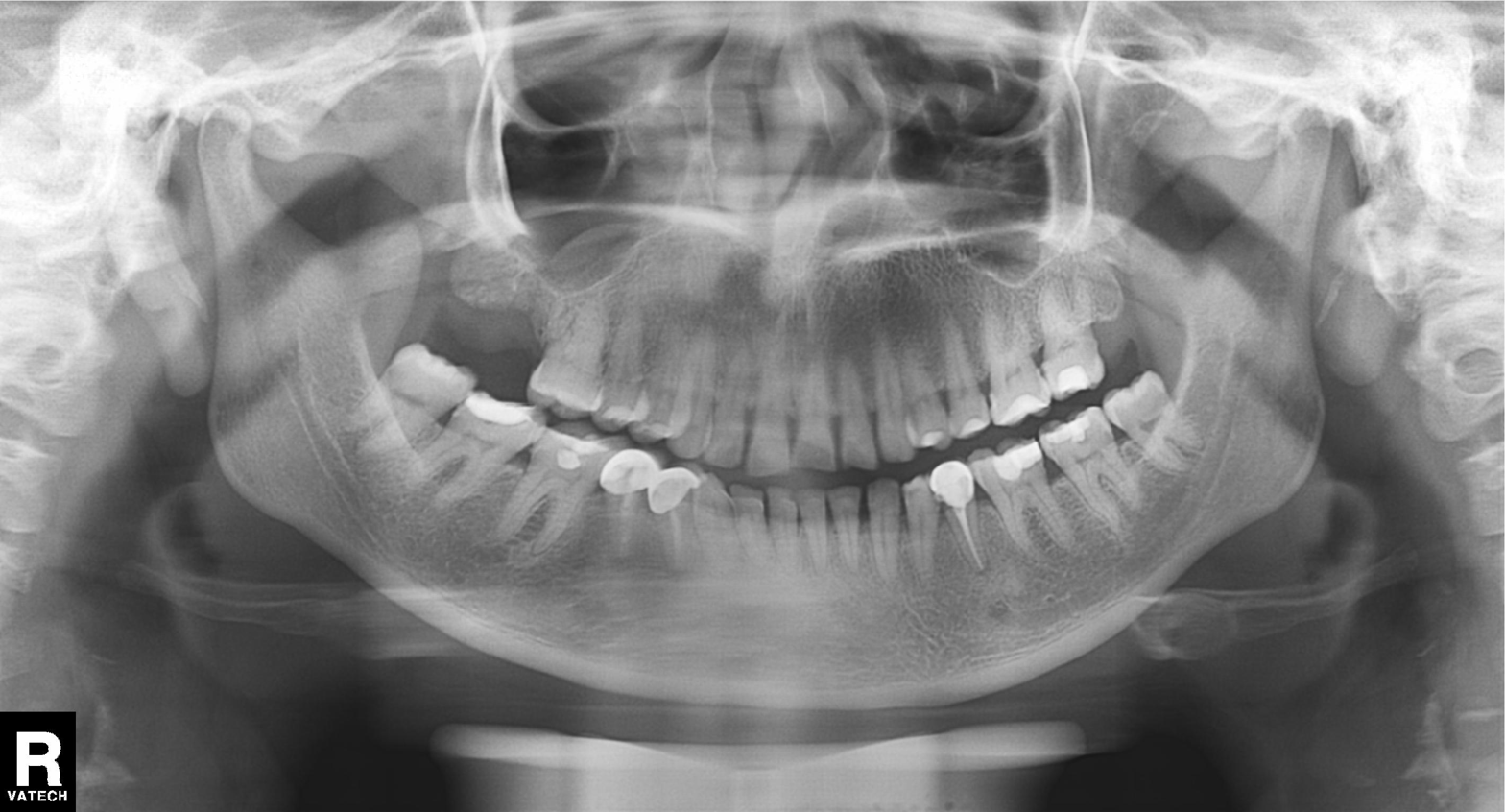
Clinical context:
Panoramic dental radiograph (orthopantomogram).
Assessment:
Dental caries (cavities).